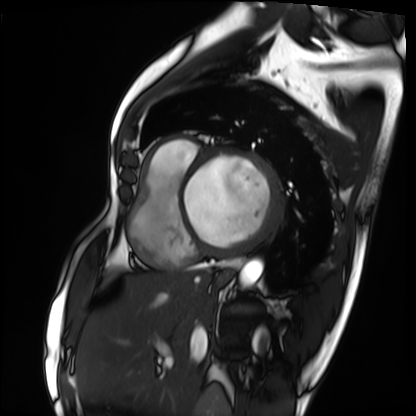
| field | value |
|---|---|
| modality | cardiac MRI |
| subject group | patient |